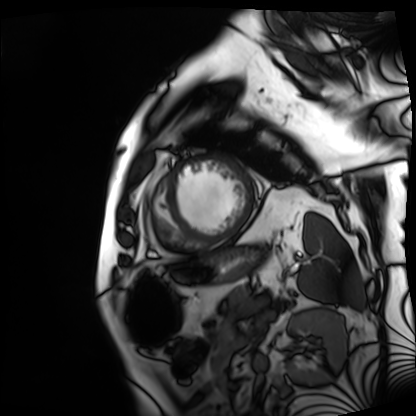
Cardiac MRI. Subject group: patient.